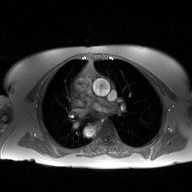
modality: 2D phase-contrast cine MRI of the ascending aorta